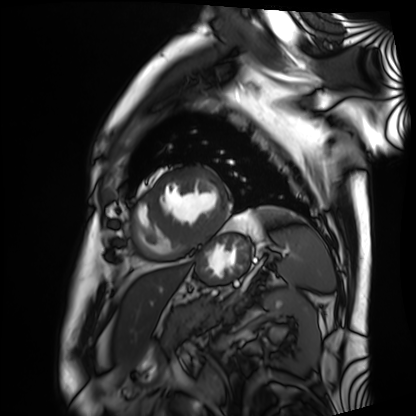
Cardiac MRI.
Subject group: patient.